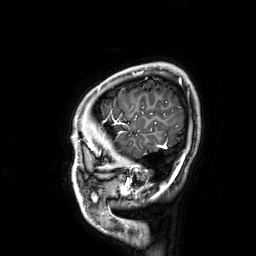
3 Tesla brain MRI. Series: 3D T1-weighted. Study: ring-enhancing brain masses.